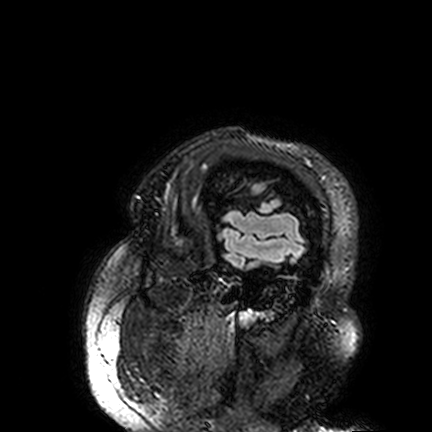
modality = 3 Tesla brain MRI
study = ring-enhancing brain masses